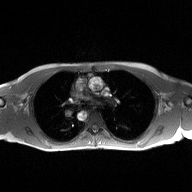
- modality — 2D phase-contrast cine MRI of the ascending aorta